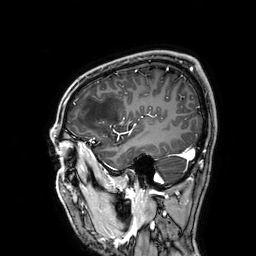
modality: 3 Tesla brain MRI | series: 3D T1-weighted | study: ring-enhancing brain masses.